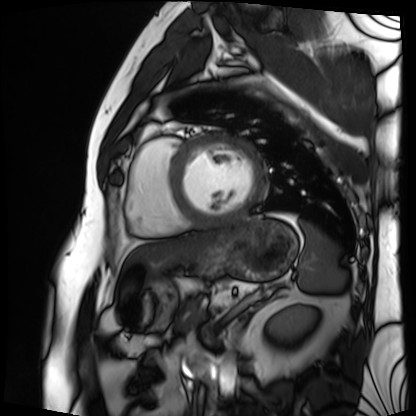
Cardiac MRI.
Subject group: patient.